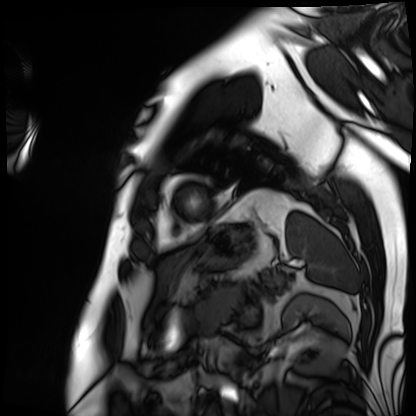
modality: cardiac MRI, subject group: patient.